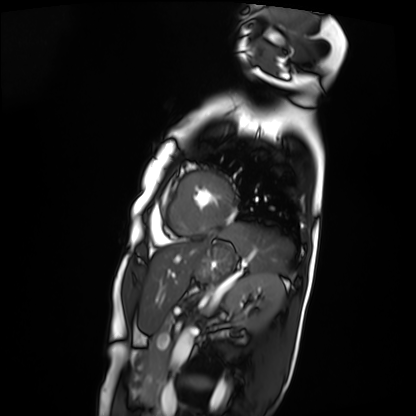
Cardiac MRI. Subject group: patient.